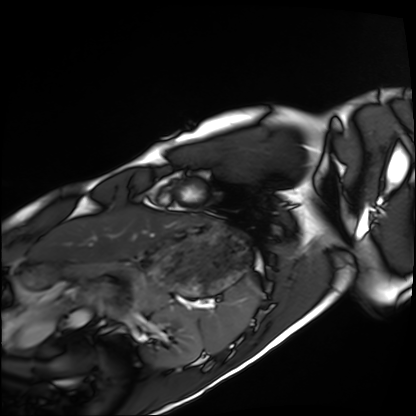
Clinical context: Cardiac MRI. Subject group: healthy volunteer.